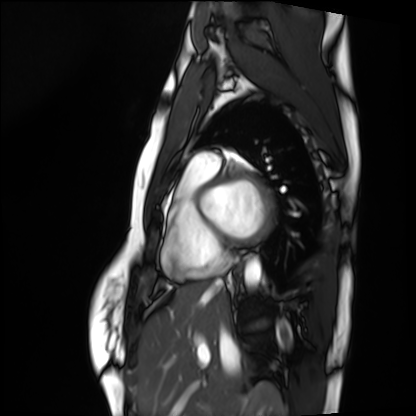
* modality · cardiac MRI
* subject group · healthy volunteer